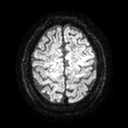
3 Tesla brain MRI. Series: diffusion tensor imaging (medium iso). Study: ring-enhancing brain masses.